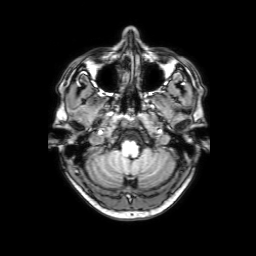
| field | value |
|---|---|
| modality | 3 Tesla brain MRI |
| series | 3D T1-weighted with SENSE |
| study | ring-enhancing brain masses |